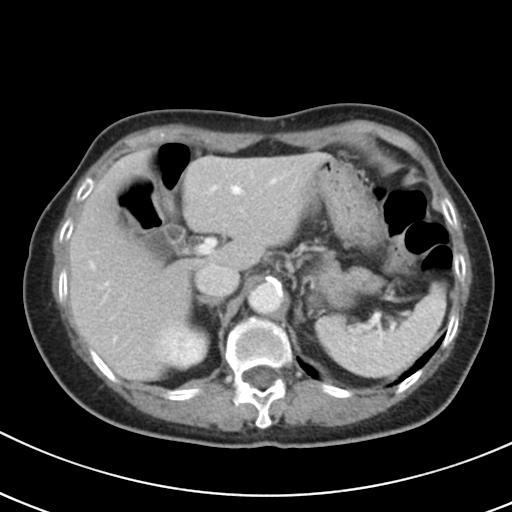
modality:
  type: multiphase abdominal CT
  region: liver
  phase: portal venous
patient:
  sex: female
  age: 79